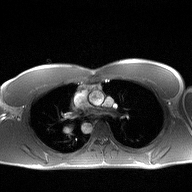
modality = 2D phase-contrast cine MRI of the ascending aorta.